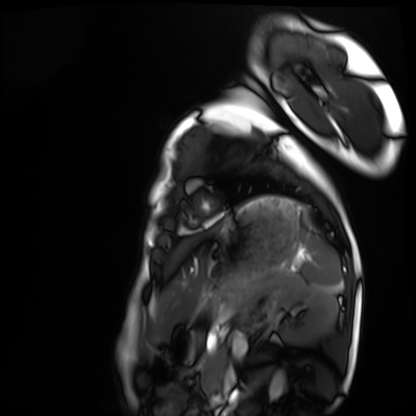
Clinical context: Cardiac MRI. Subject group: healthy volunteer.